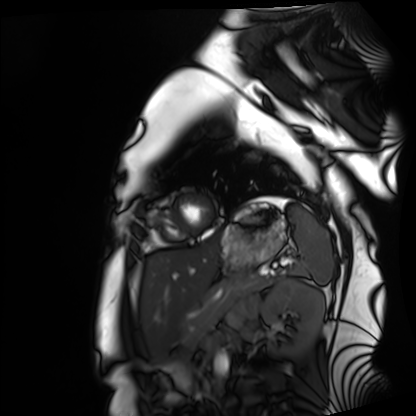
Case summary:
Cardiac MRI. Subject group: healthy volunteer.